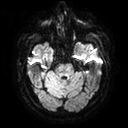
modality: 3 Tesla brain MRI
series: diffusion tensor imaging (medium iso)
study: ring-enhancing brain masses